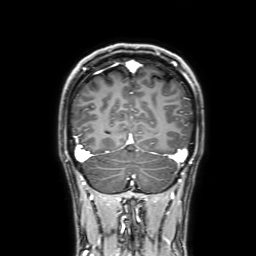
3 Tesla brain MRI.
Series: 3D T1-weighted with SENSE.
Study: ring-enhancing brain masses.